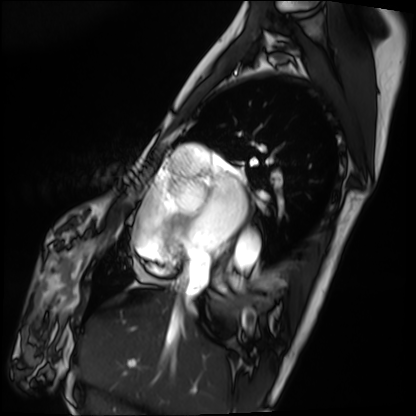
<record>
  <modality>cardiac MRI</modality>
  <cohort>patient</cohort>
</record>